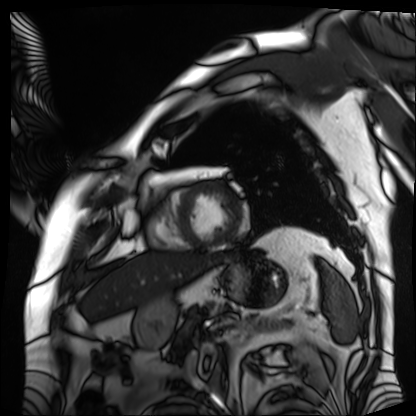
Q: What kind of scan is this?
A: Cardiac MRI.
Subject group: patient.